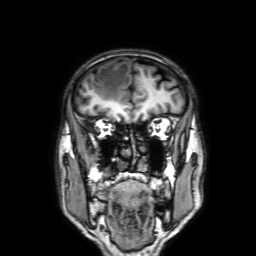
3 Tesla brain MRI. Series: 3D T1-weighted with SENSE. Study: ring-enhancing brain masses.